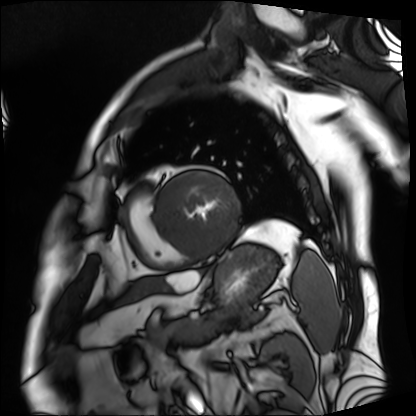
| field | value |
|---|---|
| modality | cardiac MRI |
| subject group | patient |